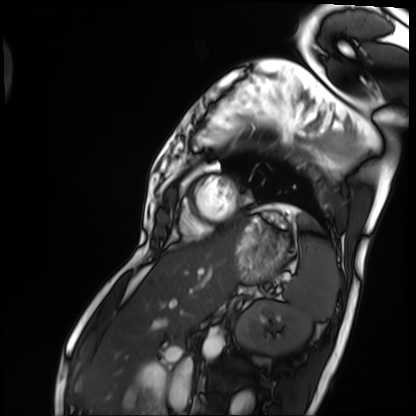
| field | value |
|---|---|
| modality | cardiac MRI |
| subject group | patient |